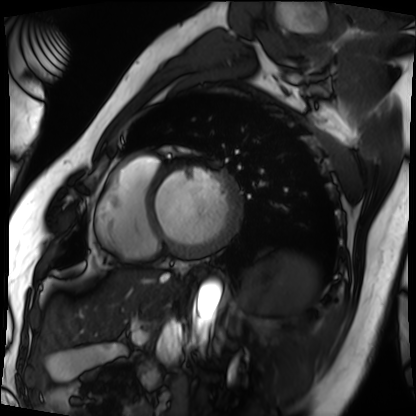
modality: cardiac MRI
cohort: patient